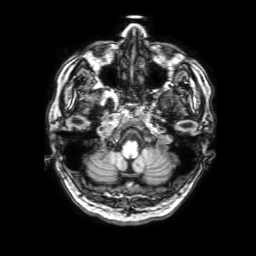
Clinical context:
3 Tesla brain MRI. Study: ring-enhancing brain masses.